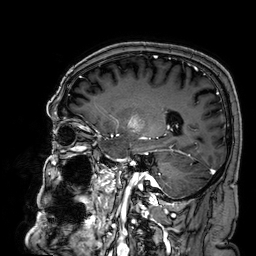
Case summary: 3 Tesla brain MRI. Series: 3D T1-weighted. Study: ring-enhancing brain masses.